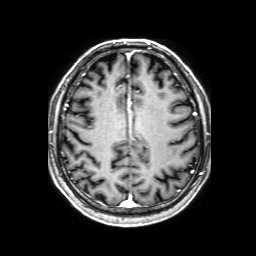
3 Tesla brain MRI.
Series: 3D T1-weighted with SENSE.
Study: ring-enhancing brain masses.